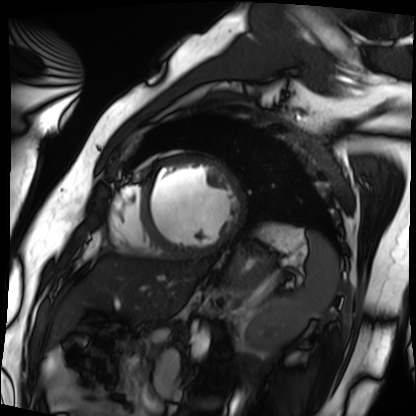
Case summary:
Cardiac MRI. Subject group: patient.